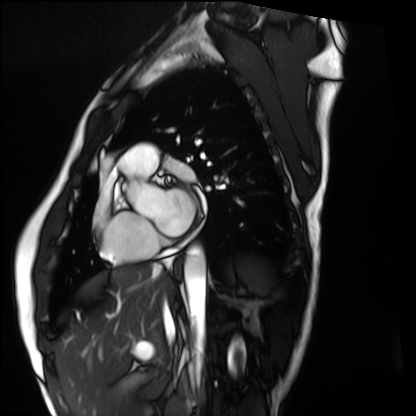
<record>
  <modality>cardiac MRI</modality>
  <cohort>healthy volunteer</cohort>
</record>